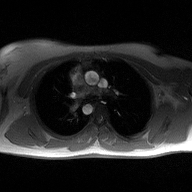
2D phase-contrast cine MRI of the ascending aorta, high-resolution GRAPPA acquisition.